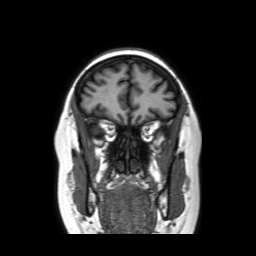
{
  "modality": {
    "type": "brain MRI",
    "field_strength": "3T"
  },
  "series": "coronal without contrast",
  "study_topic": "ring-enhancing brain masses"
}